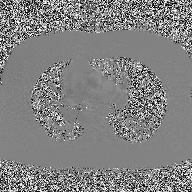
2D phase-contrast cine MRI of the ascending aorta, high-resolution GRAPPA acquisition.